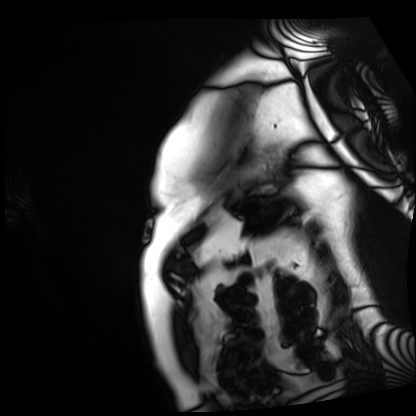
modality = cardiac MRI; subject group = patient.